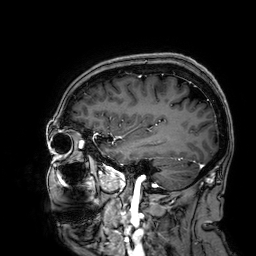
modality=3 Tesla brain MRI; series=3D T1-weighted; study=ring-enhancing brain masses.